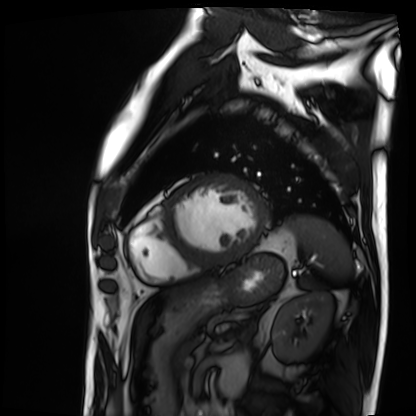
Cardiac MRI. Subject group: patient.